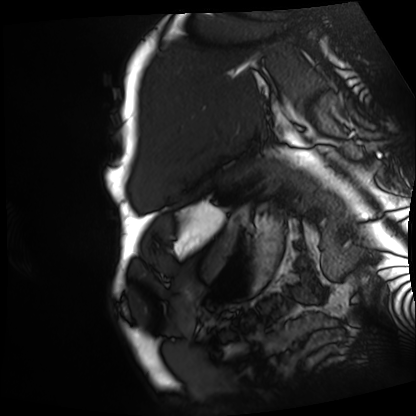
Cardiac MRI. Subject group: patient.